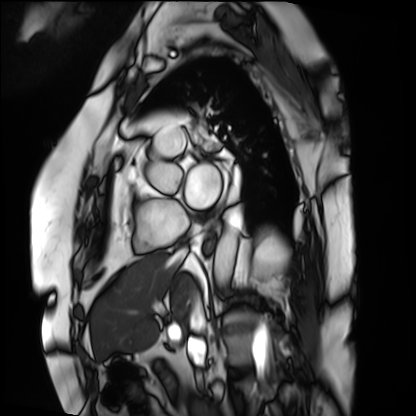
Q: What kind of scan is this?
A: Cardiac MRI.
Subject group: patient.